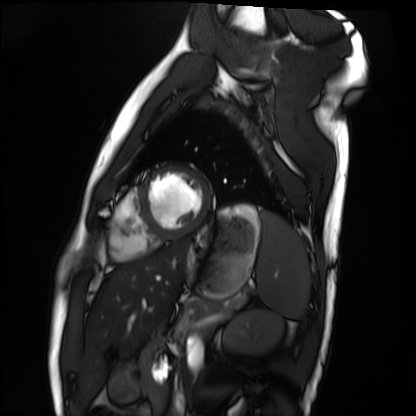
Cardiac MRI. Subject group: healthy volunteer.